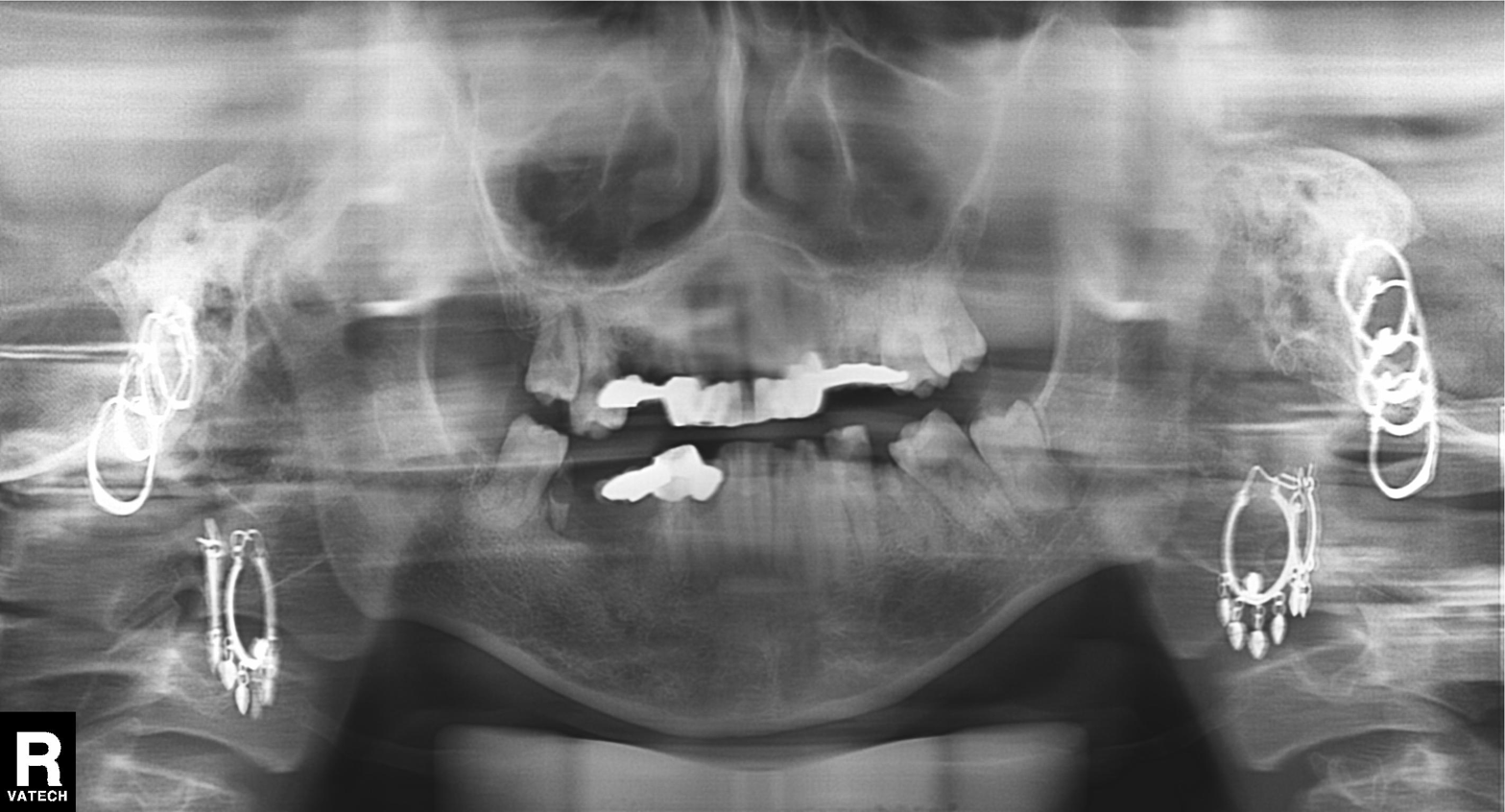
- modality: panoramic dental radiograph (orthopantomogram)
- finding: dental caries (cavities)